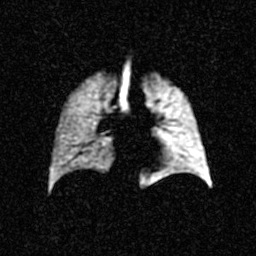
Clinical context: Hyperpolarized 129Xe ventilation MRI of the lungs. SNR level 3 of 8 (the deposit holds this scan as its native image and as seven SNR-degraded versions).